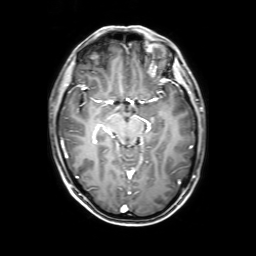
Q: What kind of scan is this?
A: 3 Tesla brain MRI.
Q: Series?
A: 3D T1-weighted with SENSE.
Study: ring-enhancing brain masses.